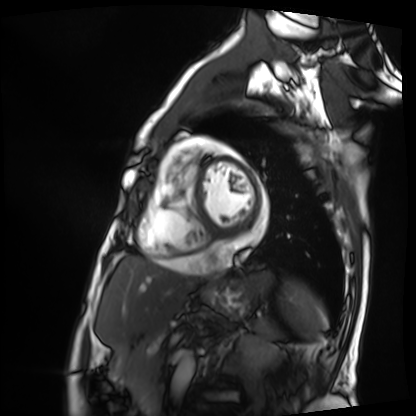
Summary:
Cardiac MRI. Subject group: patient.